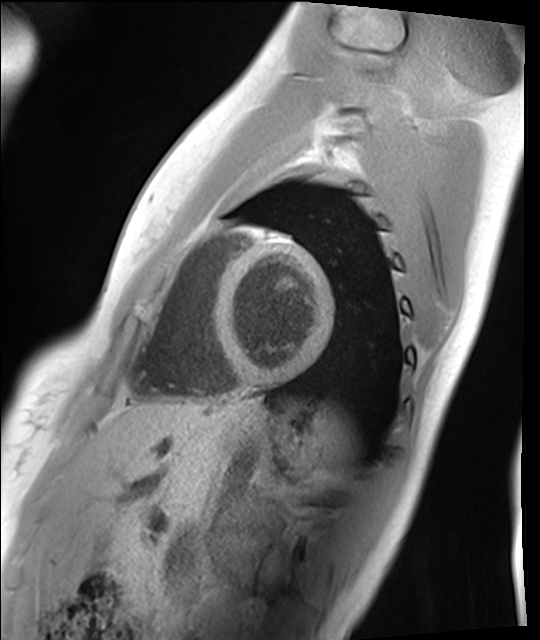
Cardiac MRI.
Subject group: healthy volunteer.